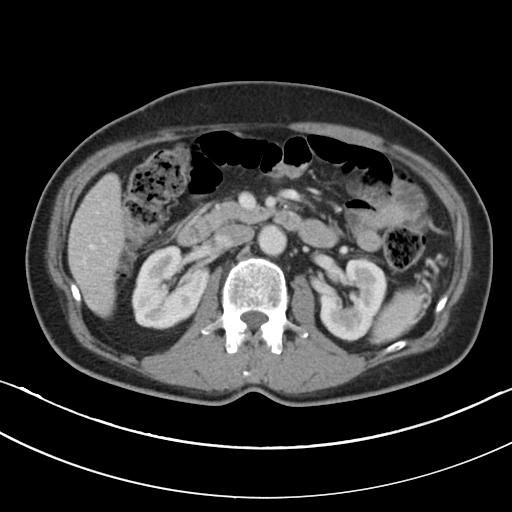
<study>
<modality>
  <type>multiphase abdominal CT</type>
  <region>liver</region>
  <phase>portal venous</phase>
</modality>
<patient>
  <sex>male</sex>
  <age>59</age>
</patient>
<history>cirrhosis, viral hepatitis</history>
</study>